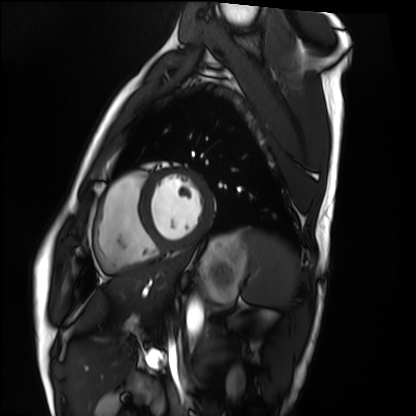
Q: What kind of scan is this?
A: Cardiac MRI.
Subject group: healthy volunteer.